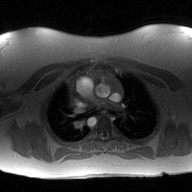
modality=2D phase-contrast cine MRI of the ascending aorta.